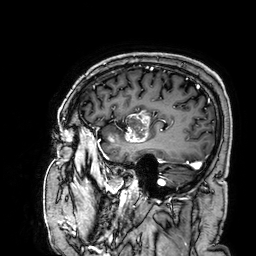
Case:
- modality: 3 Tesla brain MRI
- series: 3D T1-weighted
- study: ring-enhancing brain masses